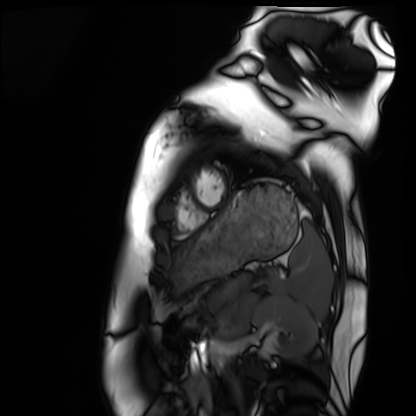
Case summary: Cardiac MRI. Subject group: healthy volunteer.